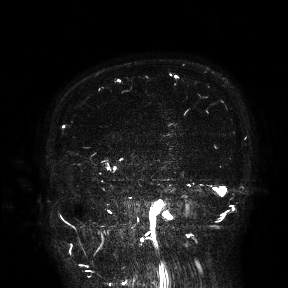
modality: 3 Tesla brain MRI | study: ring-enhancing brain masses.